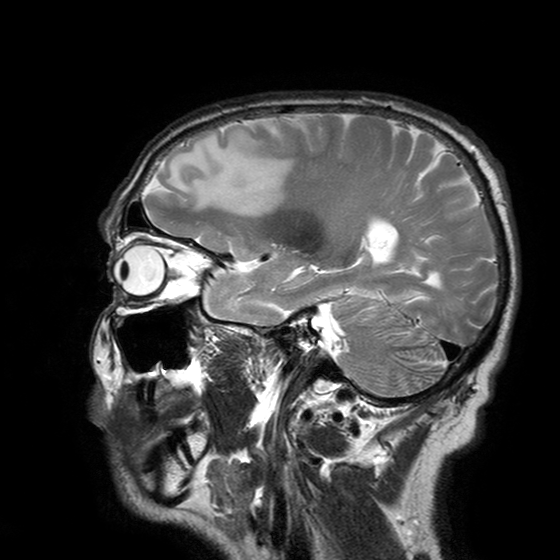
Q: What kind of scan is this?
A: 3 Tesla brain MRI.
Q: Series?
A: T2-weighted turbo spin echo with SENSE.
Study: ring-enhancing brain masses.